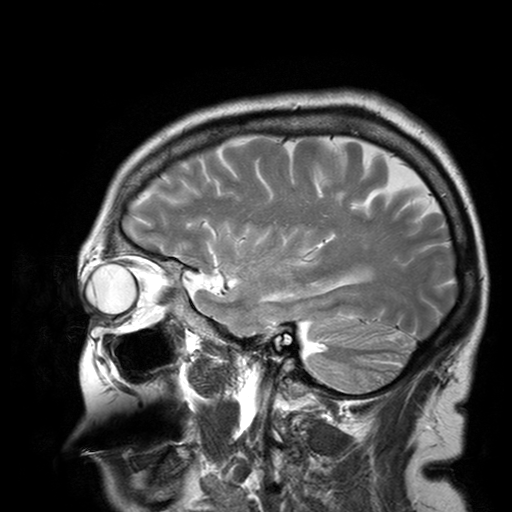
3 Tesla brain MRI.
Series: T2-weighted turbo spin echo with SENSE.
Study: ring-enhancing brain masses.